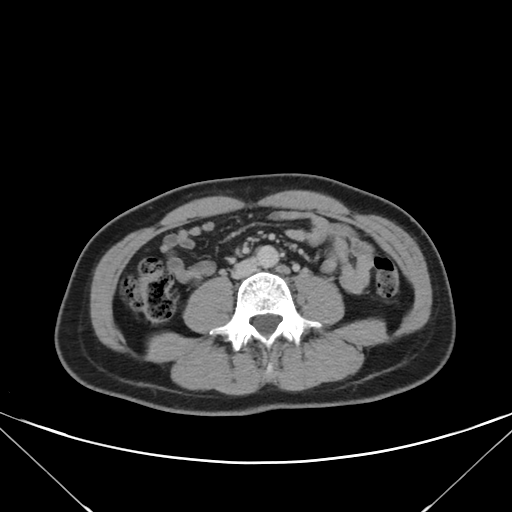
Summary:
Multiphase abdominal CT, liver, delayed phase. Patient: female, age 43.